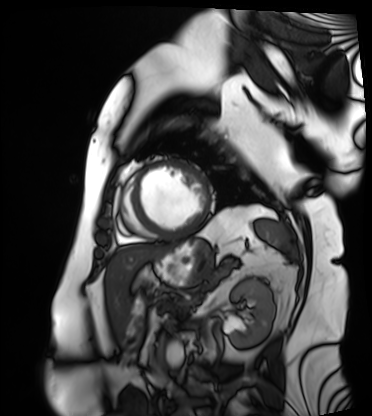
Cardiac MRI.
Subject group: patient.